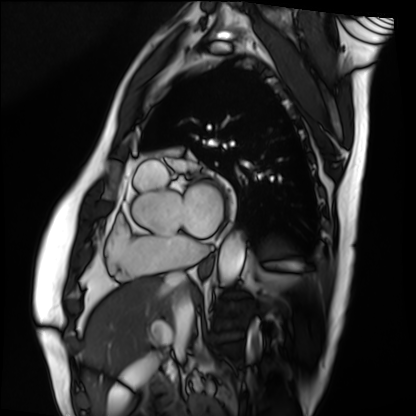
<record>
<modality>cardiac MRI</modality>
<cohort>patient</cohort>
</record>